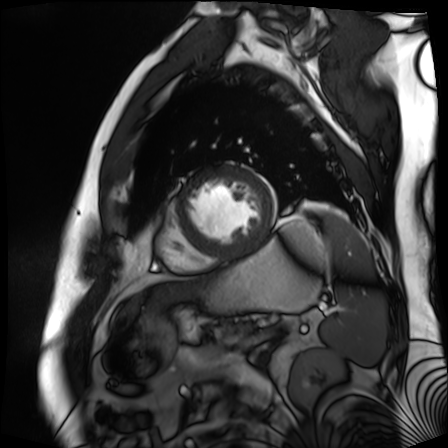
Cardiac MR image of the myocardium. Subject cohort: cardiac patient.